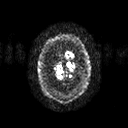
Case summary:
3 Tesla brain MRI. Series: diffusion tensor imaging (medium iso). Study: ring-enhancing brain masses.